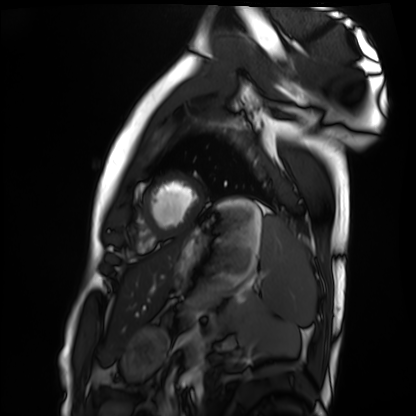
Case summary:
Cardiac MRI. Subject group: healthy volunteer.